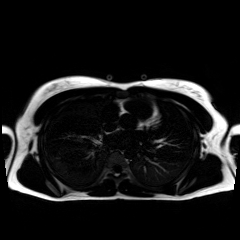
Q: What kind of scan is this?
A: Chemical-shift-encoded cardiac MRI.